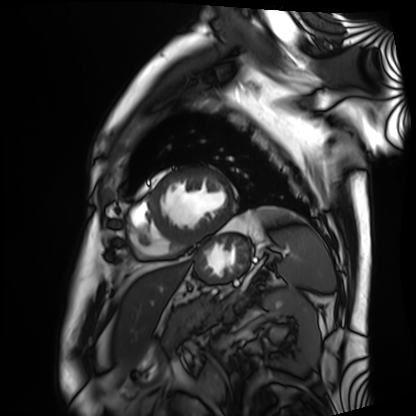
<scan>
<modality>cardiac MRI</modality>
<cohort>patient</cohort>
</scan>